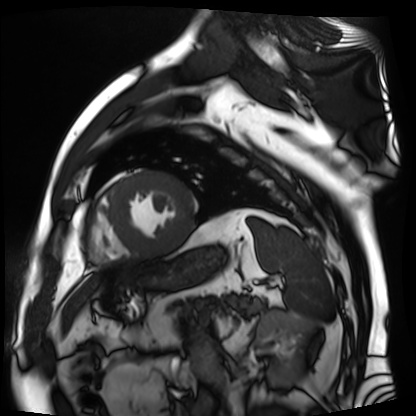
Summary: Cardiac MR image of the myocardium. Subject cohort: cardiac patient.